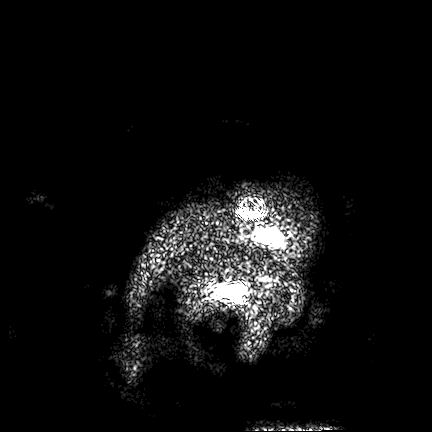
3 Tesla brain MRI.
Series: FLAIR VISTA.
Study: ring-enhancing brain masses.